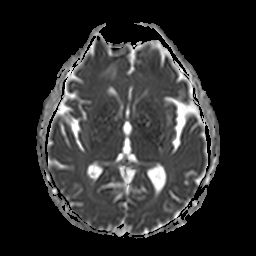
3 Tesla brain MRI.
Series: apparent diffusion coefficient (ADC) map.
Study: ring-enhancing brain masses.